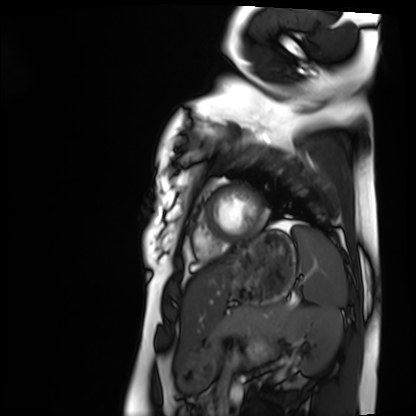
Clinical context: Cardiac MRI. Subject group: healthy volunteer.